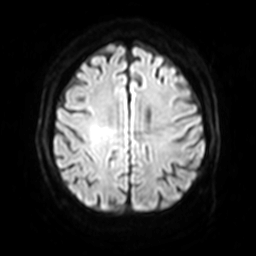
{"modality": {"type": "brain MRI", "field_strength": "3T"}, "series": "diffusion-weighted imaging with SENSE (WIP)", "study_topic": "ring-enhancing brain masses"}